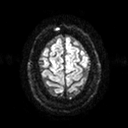
modality — 3 Tesla brain MRI | series — diffusion tensor imaging (medium iso) | study — ring-enhancing brain masses.